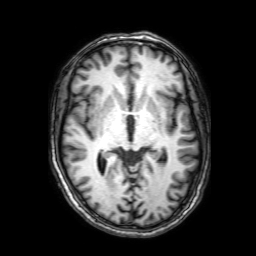
modality = 3 Tesla brain MRI; series = 3D T1-weighted with SENSE; study = ring-enhancing brain masses.